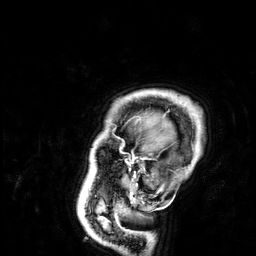
modality: 3 Tesla brain MRI | series: 3D T1-weighted | study: ring-enhancing brain masses.